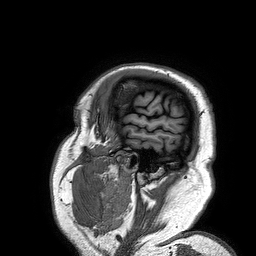
3 Tesla brain MRI. Series: 3D T1-weighted turbo field echo. Study: ring-enhancing brain masses.